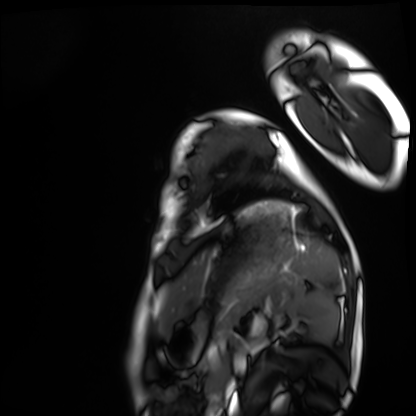
Clinical context:
Cardiac MRI. Subject group: healthy volunteer.